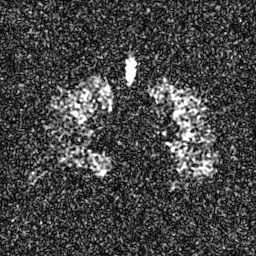
modality=hyperpolarized 129Xe ventilation MRI of the lungs
SNR level=6 of 8 (the deposit holds this scan as its native image and as seven SNR-degraded versions)